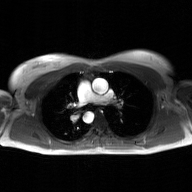
Q: What kind of scan is this?
A: 2D phase-contrast cine MRI of the ascending aorta, GAN super-resolution reconstruction.